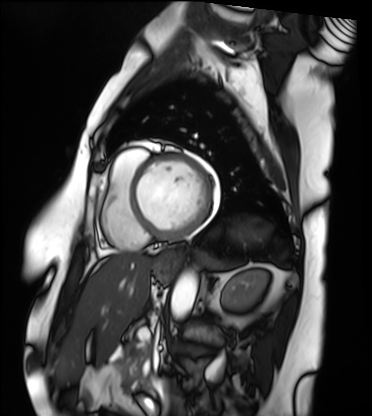
modality: cardiac MRI
cohort: patient